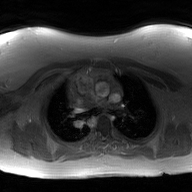
Q: What kind of scan is this?
A: 2D phase-contrast cine MRI of the ascending aorta, GAN super-resolution reconstruction.